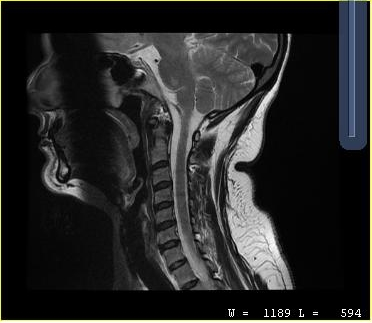
Q: What kind of scan is this?
A: MRI of the cervical spine.
Study: cervical spondylosis.